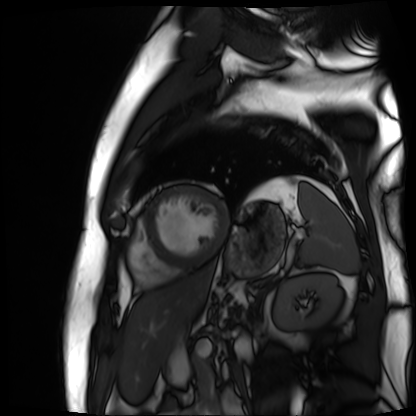
{"modality": "cardiac MR image of the myocardium", "cohort": "cardiac patient"}